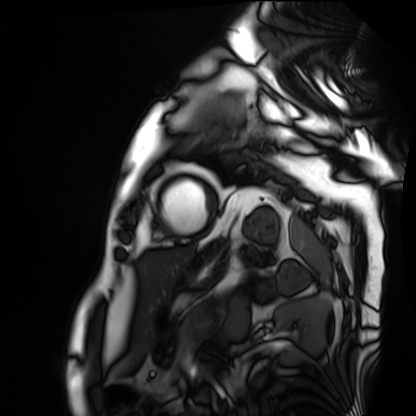
| field | value |
|---|---|
| modality | cardiac MRI |
| subject group | patient |